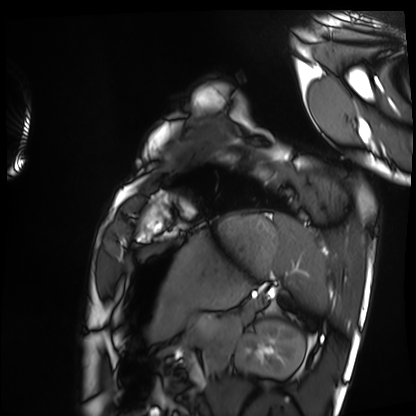
Q: What kind of scan is this?
A: Cardiac MRI.
Subject group: healthy volunteer.